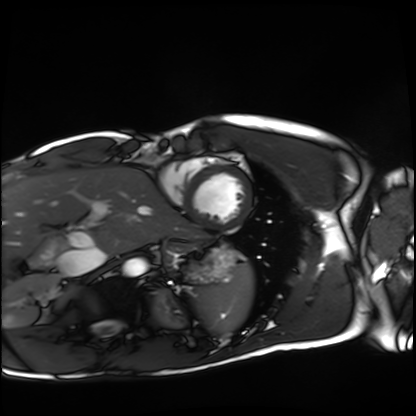
Q: What kind of scan is this?
A: Cardiac MRI.
Subject group: healthy volunteer.